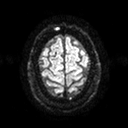
Clinical context:
3 Tesla brain MRI. Series: diffusion tensor imaging (medium iso). Study: ring-enhancing brain masses.